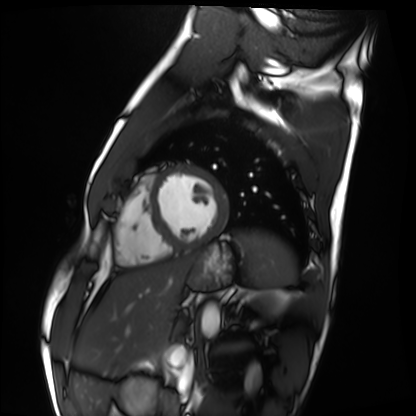
modality: cardiac MRI
cohort: healthy volunteer